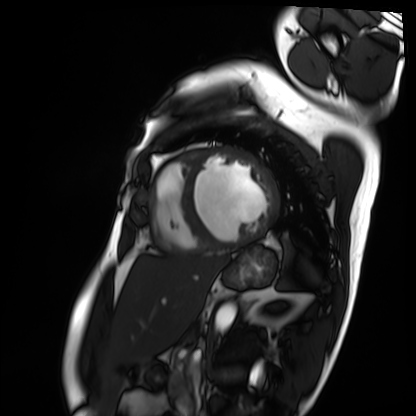
• modality: cardiac MRI
• subject group: patient